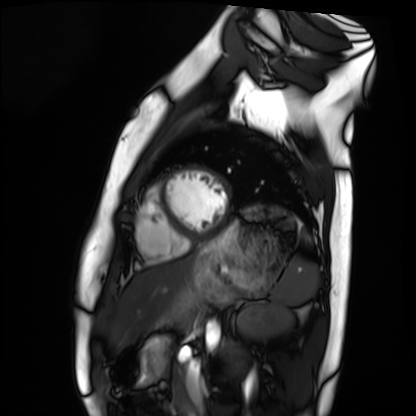
Q: What kind of scan is this?
A: Cardiac MRI.
Subject group: healthy volunteer.